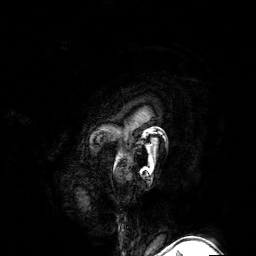
3 Tesla brain MRI. Series: 3D T1-weighted turbo field echo with SENSE. Study: ring-enhancing brain masses.